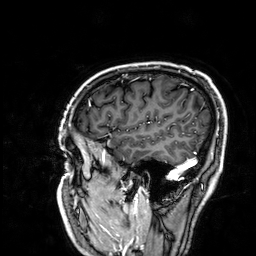
  modality:
    type: brain MRI
    field_strength: 3T
  series: 3D T1-weighted
  study_topic: ring-enhancing brain masses